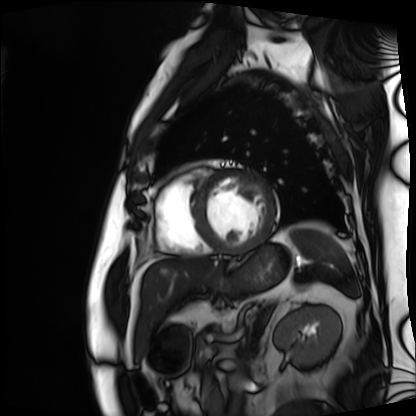
Clinical context:
Cardiac MRI. Subject group: patient.